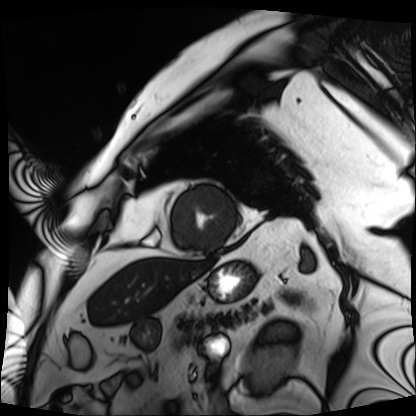
<study>
  <modality>cardiac MRI</modality>
  <cohort>patient</cohort>
</study>